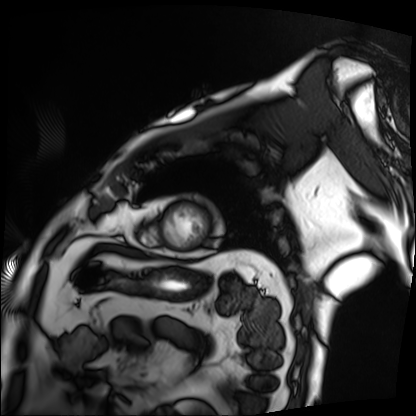
Summary: Cardiac MRI. Subject group: patient.